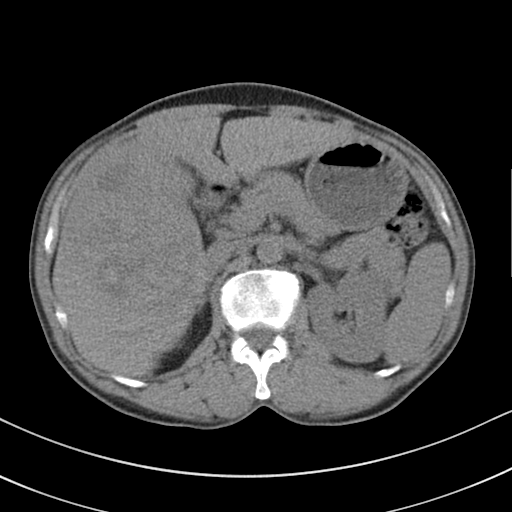
Q: What kind of scan is this?
A: Multiphase abdominal CT, liver, non-contrast phase.
Q: Patient?
A: Male, age 51.